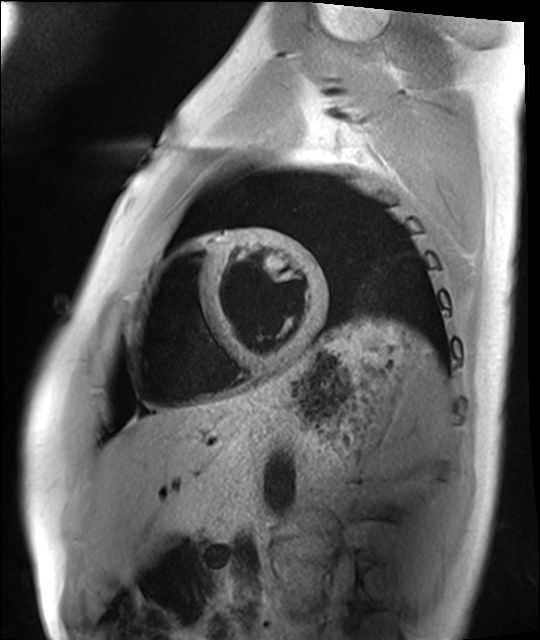
Cardiac MRI. Subject group: healthy volunteer.